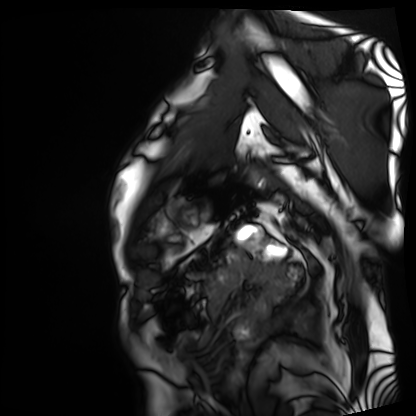
modality: cardiac MRI
subject group: patient